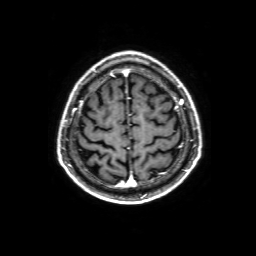
modality: 3 Tesla brain MRI
series: 3D T1-weighted with SENSE
study: ring-enhancing brain masses